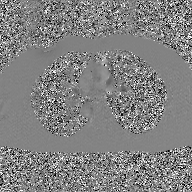
modality: 2D phase-contrast cine MRI of the ascending aorta, GAN super-resolution reconstruction